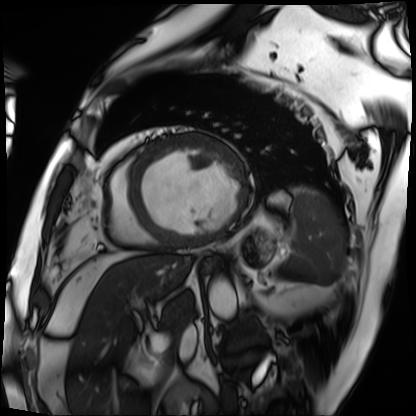
Summary:
Cardiac MRI. Subject group: patient.